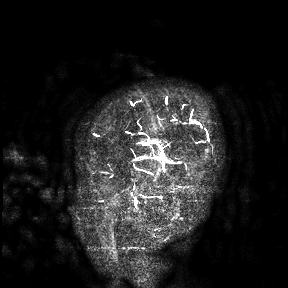
Clinical context:
3 Tesla brain MRI. Study: ring-enhancing brain masses.